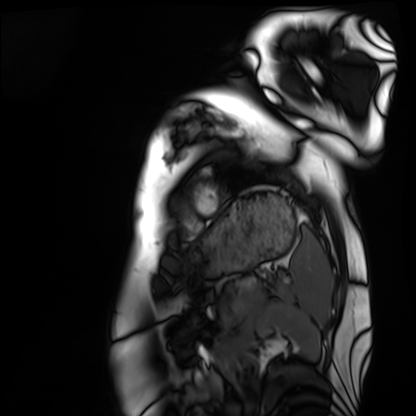
Case:
* modality — cardiac MRI
* subject group — healthy volunteer